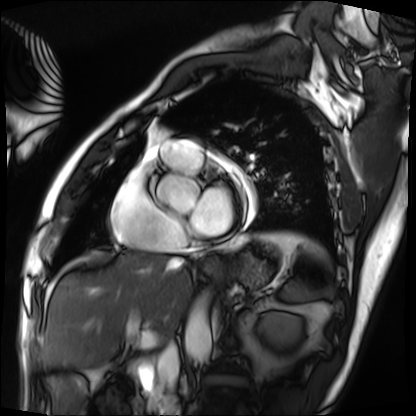
Cardiac MRI. Subject group: patient.